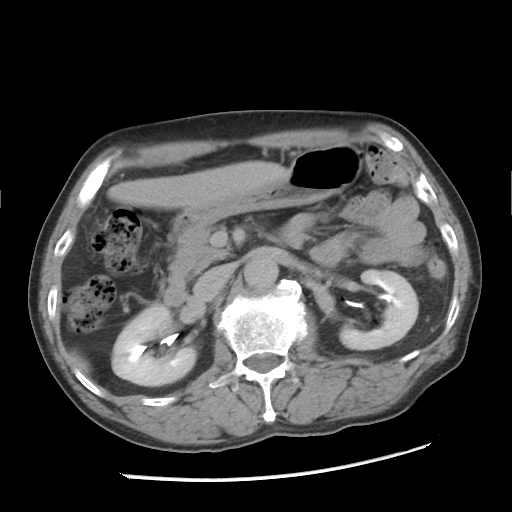
Q: What kind of scan is this?
A: Multiphase abdominal CT, liver, delayed phase.
Q: Patient?
A: Male, age 67.